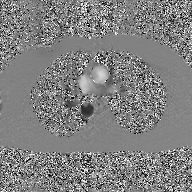
{"modality": {"type": "2D phase-contrast cine MRI", "region": "ascending aorta", "reconstruction": "GAN super-resolution reconstruction"}}